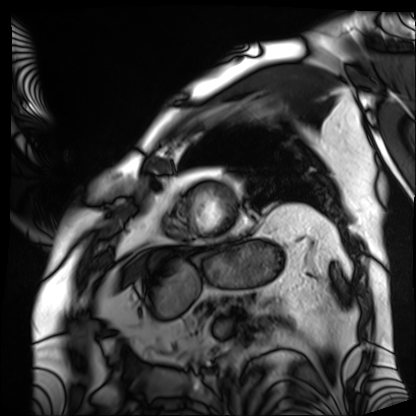
Q: What kind of scan is this?
A: Cardiac MRI.
Subject group: patient.